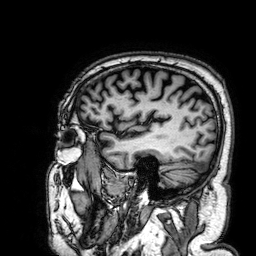
{"modality": {"type": "brain MRI", "field_strength": "3T"}, "series": "3D T1-weighted", "study_topic": "ring-enhancing brain masses"}